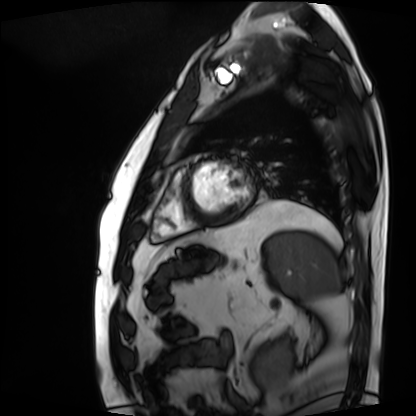
Q: What kind of scan is this?
A: Cardiac MRI.
Subject group: patient.